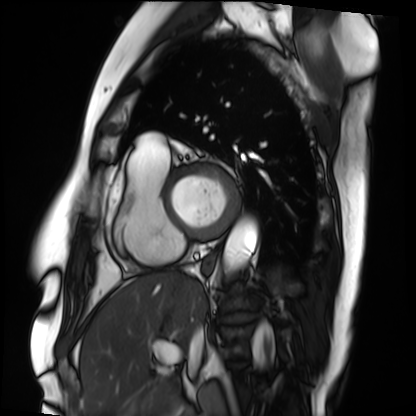
{
  "modality": "cardiac MRI",
  "cohort": "patient"
}